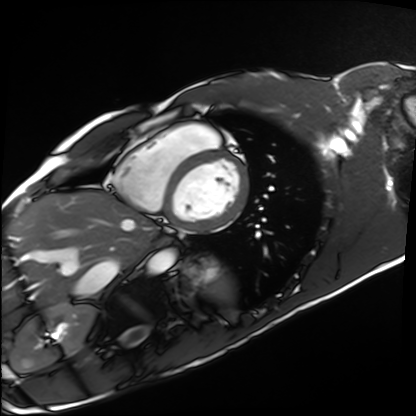
Q: What kind of scan is this?
A: Cardiac MRI.
Subject group: healthy volunteer.